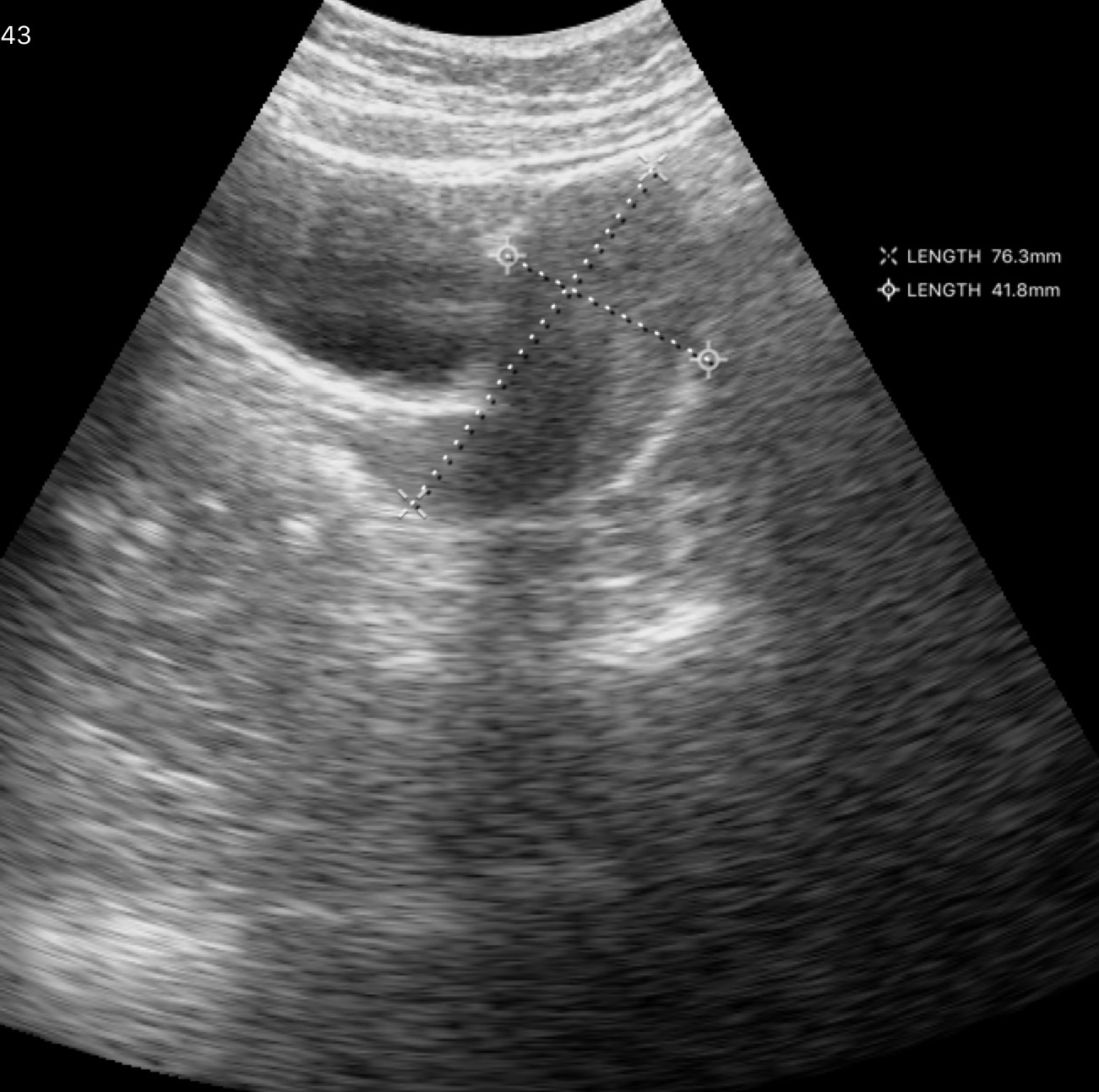
Clinical context: Genitourinary ultrasound.